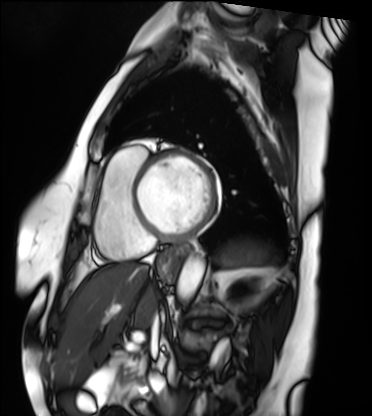
modality: cardiac MRI
cohort: patient